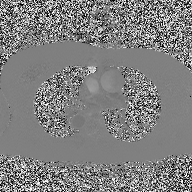
| field | value |
|---|---|
| modality | 2D phase-contrast cine MRI of the ascending aorta |